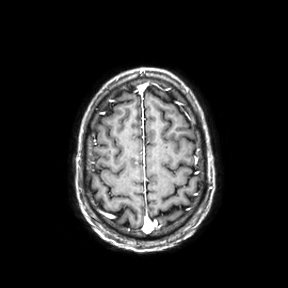
Summary:
3 Tesla brain MRI. Series: axial. Study: ring-enhancing brain masses.